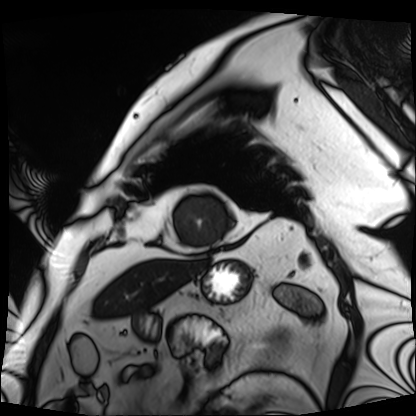
Cardiac MRI. Subject group: patient.